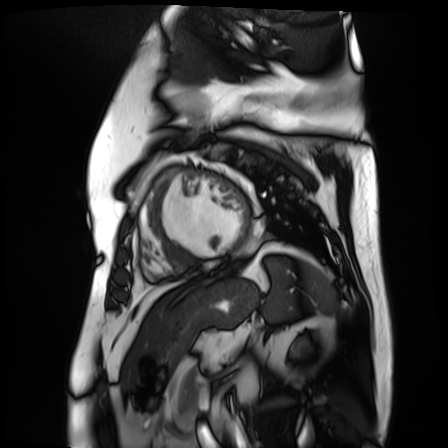
Cardiac MR image of the myocardium. Subject cohort: cardiac patient.